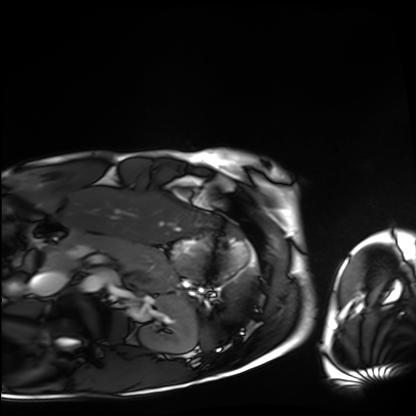
Cardiac MRI.
Subject group: healthy volunteer.